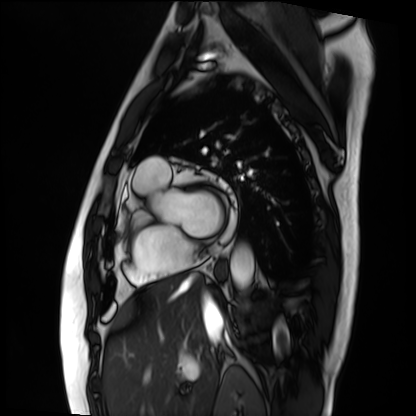
Clinical context:
Cardiac MRI. Subject group: patient.